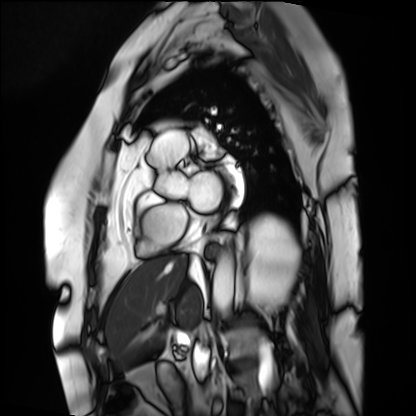
Cardiac MRI. Subject group: patient.